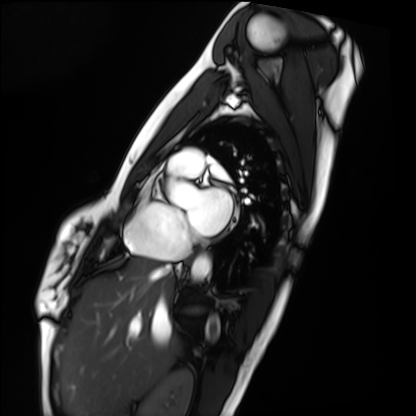
Summary:
Cardiac MRI. Subject group: healthy volunteer.